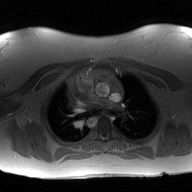
Summary: 2D phase-contrast cine MRI of the ascending aorta, high-resolution GRAPPA acquisition.